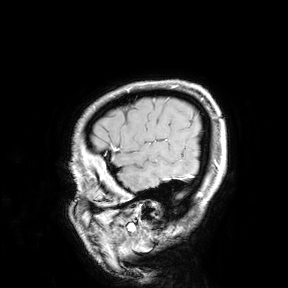
<scan>
  <modality>
    <type>brain MRI</type>
    <field_strength>3T</field_strength>
  </modality>
  <study_topic>ring-enhancing brain masses</study_topic>
</scan>